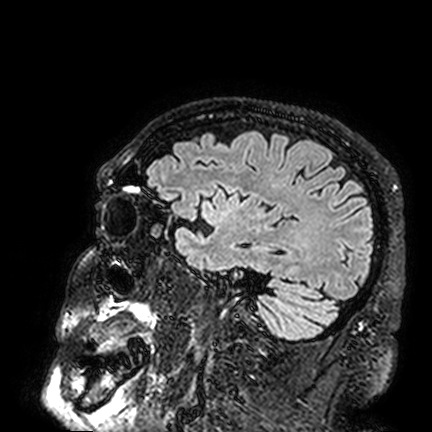
modality: 3 Tesla brain MRI
series: FLAIR VISTA
study: ring-enhancing brain masses